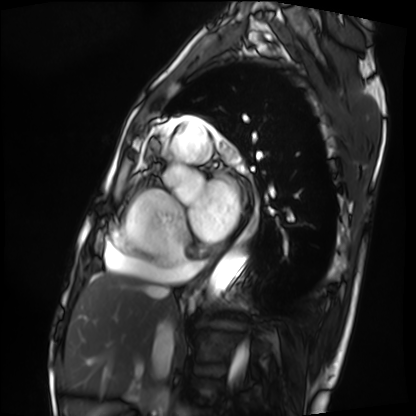
Q: What kind of scan is this?
A: Cardiac MRI.
Subject group: patient.